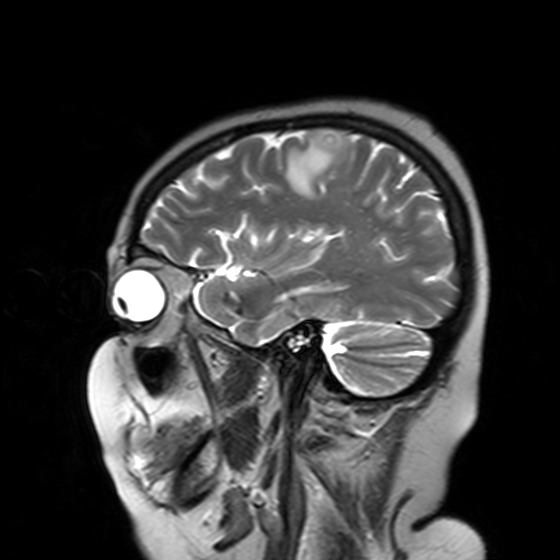
3 Tesla brain MRI.
Series: T2-weighted turbo spin echo with SENSE.
Study: ring-enhancing brain masses.